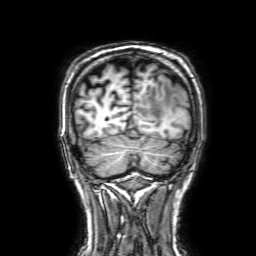
modality: 3 Tesla brain MRI | series: 3D T1-weighted with SENSE | study: ring-enhancing brain masses.